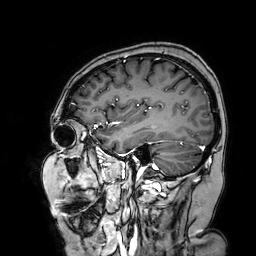
Q: What kind of scan is this?
A: 3 Tesla brain MRI.
Q: Series?
A: 3D T1-weighted turbo field echo with SENSE.
Study: ring-enhancing brain masses.